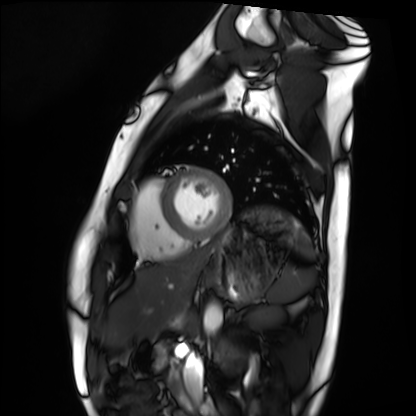
<study>
  <modality>cardiac MRI</modality>
  <cohort>healthy volunteer</cohort>
</study>